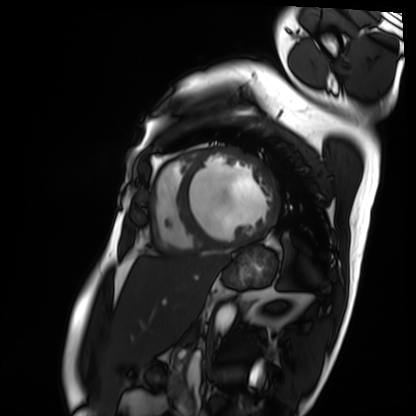
Cardiac MRI. Subject group: patient.